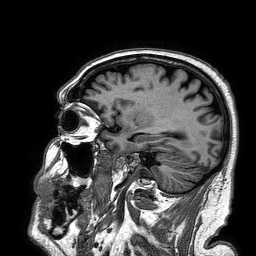
modality = 3 Tesla brain MRI
series = 3D T1-weighted turbo field echo
study = ring-enhancing brain masses